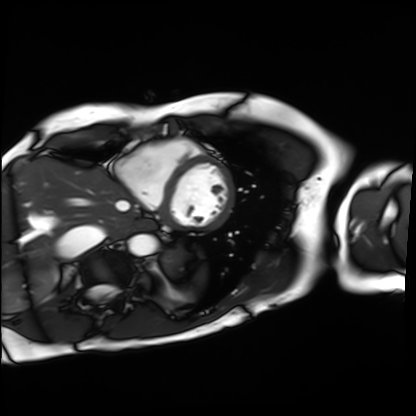
Cardiac MRI. Subject group: patient.